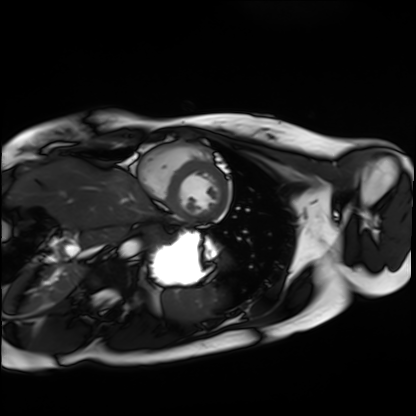
Cardiac MRI. Subject group: healthy volunteer.